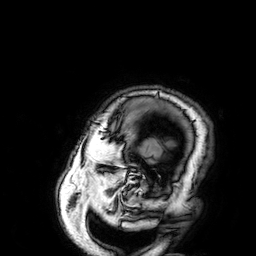
{"modality": {"type": "brain MRI", "field_strength": "3T"}, "series": "3D T1-weighted", "study_topic": "ring-enhancing brain masses"}